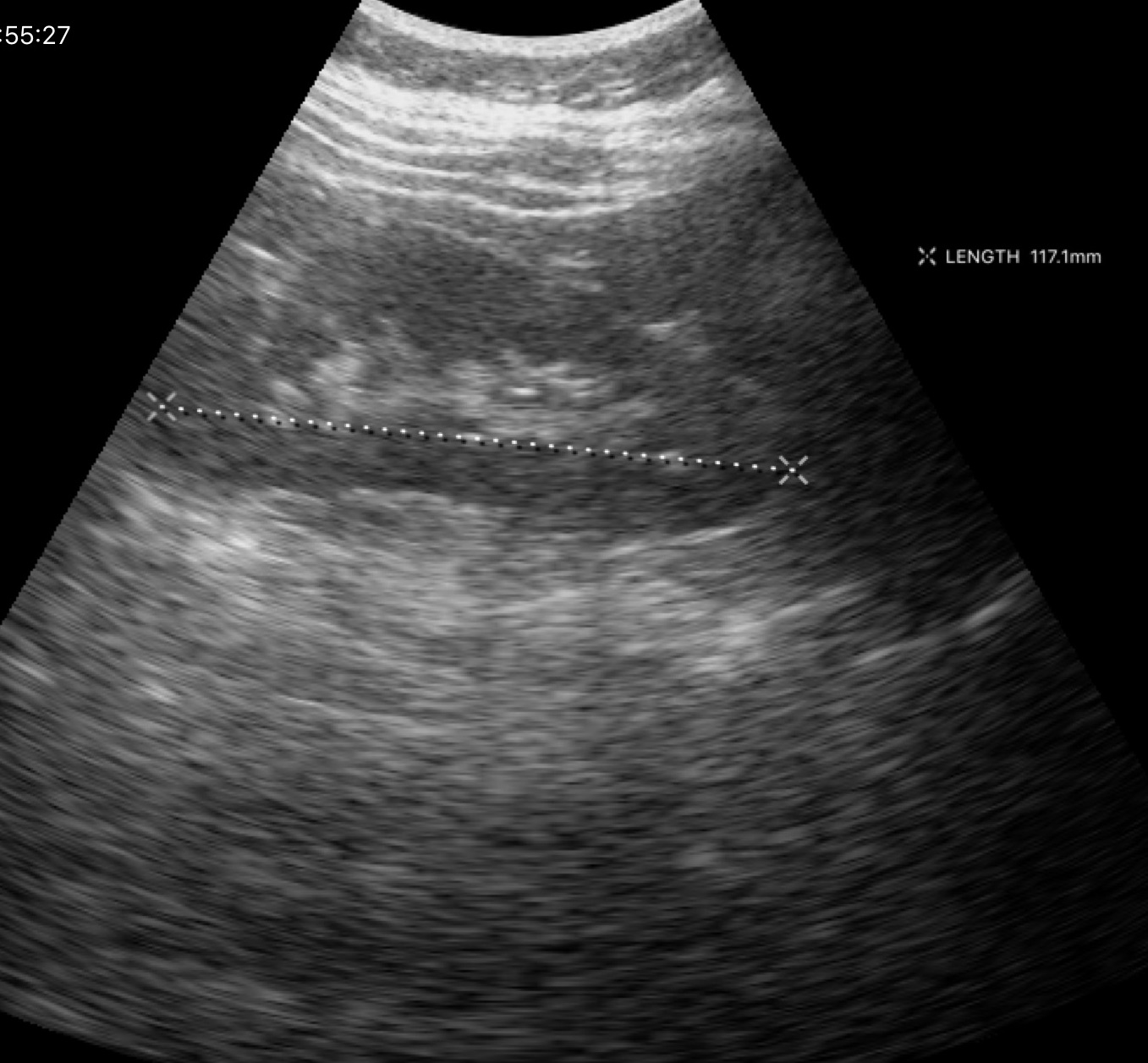
modality — genitourinary ultrasound.